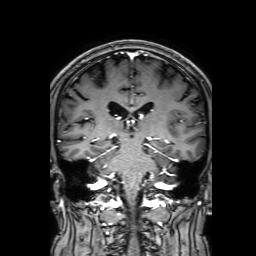
{
  "modality": {
    "type": "brain MRI",
    "field_strength": "3T"
  },
  "study_topic": "ring-enhancing brain masses"
}